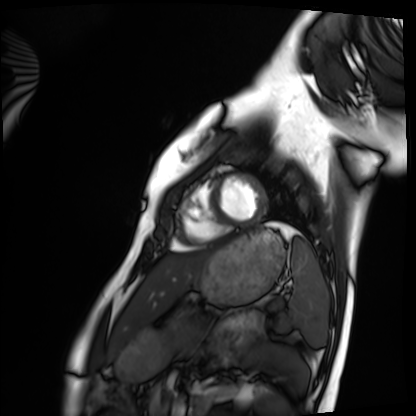
Cardiac MRI.
Subject group: healthy volunteer.